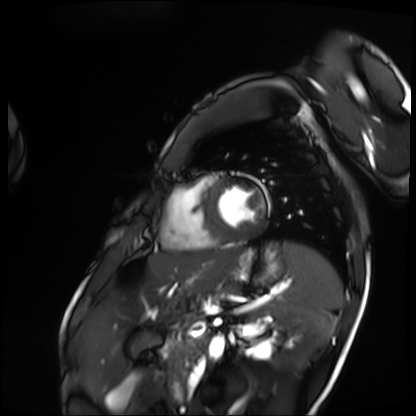
modality: cardiac MRI | subject group: patient.